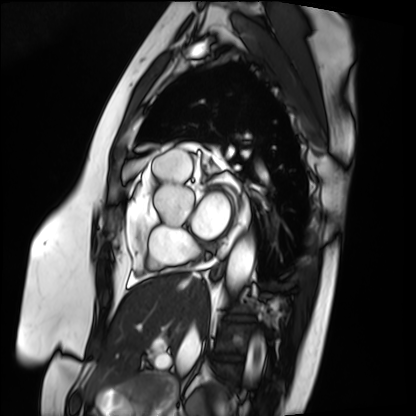
Cardiac MRI.
Subject group: patient.